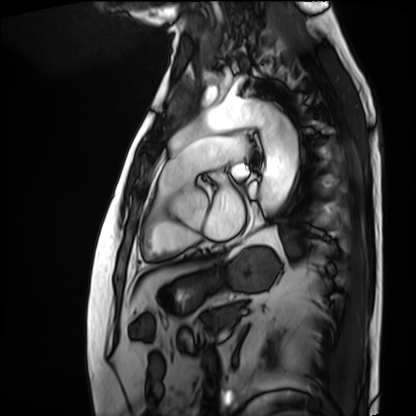
Cardiac MRI.
Subject group: patient.